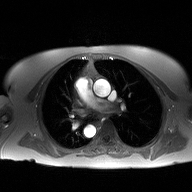
• modality · 2D phase-contrast cine MRI of the ascending aorta